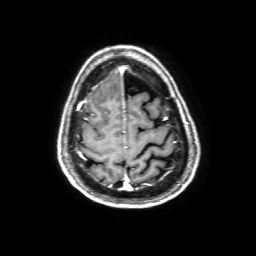
• modality — 3 Tesla brain MRI
• series — 3D T1-weighted with SENSE
• study — ring-enhancing brain masses